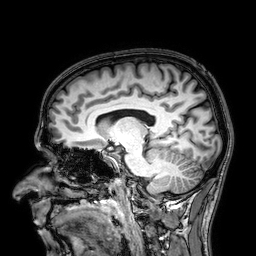
3 Tesla brain MRI.
Series: 3D T1-weighted.
Study: ring-enhancing brain masses.